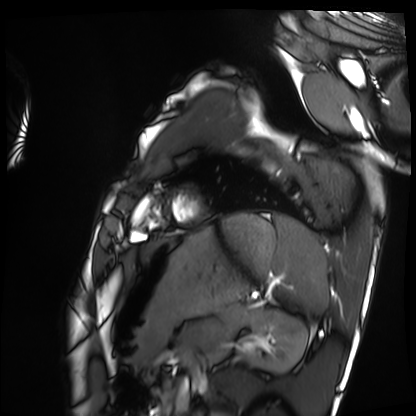
modality = cardiac MRI, subject group = healthy volunteer.